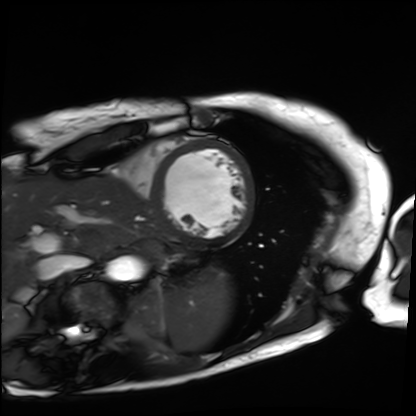
modality: cardiac MRI; subject group: patient.